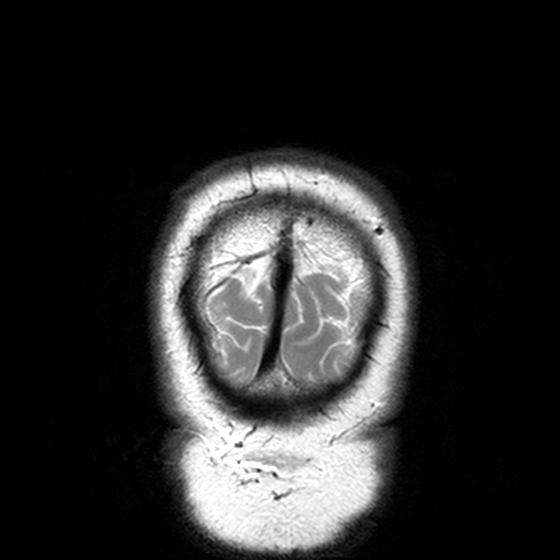
Clinical context: 3 Tesla brain MRI. Series: T2-weighted turbo spin echo, 3 mm. Study: ring-enhancing brain masses.